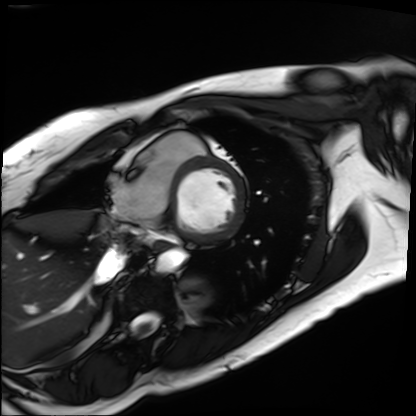
Cardiac MRI. Subject group: patient.